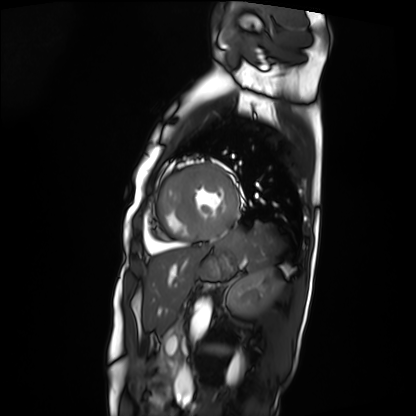
Case:
– modality — cardiac MRI
– subject group — patient